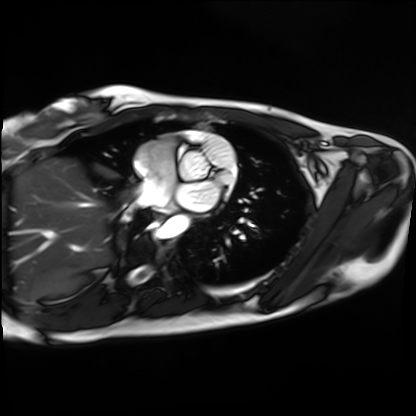
Cardiac MRI.
Subject group: healthy volunteer.